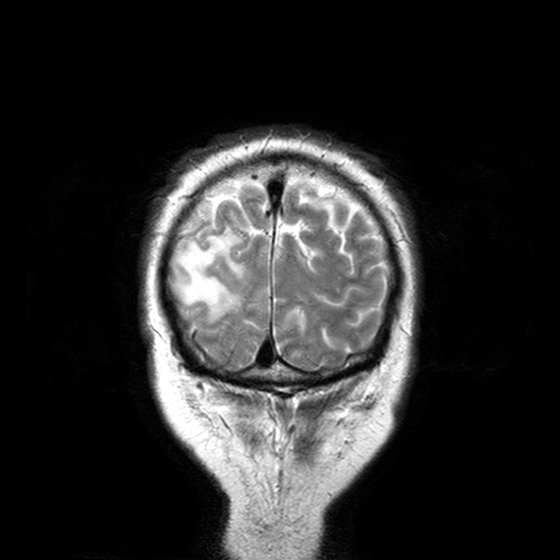
Case:
* modality: 3 Tesla brain MRI
* series: T2-weighted turbo spin echo with CLEAR
* study: ring-enhancing brain masses